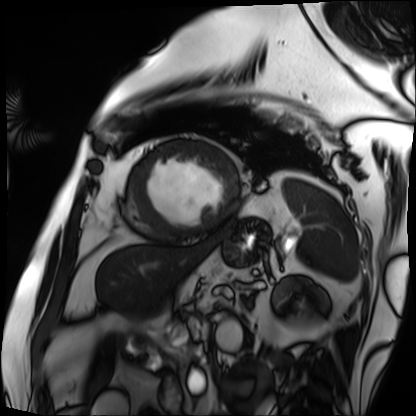
{"modality": "cardiac MRI", "cohort": "patient"}